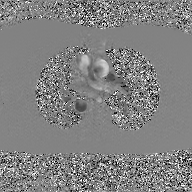
2D phase-contrast cine MRI of the ascending aorta, GAN super-resolution reconstruction.